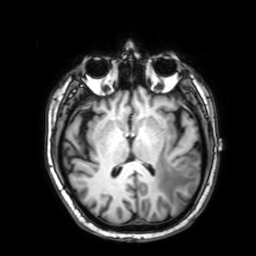
3 Tesla brain MRI. Series: 3D T1-weighted with SENSE. Study: ring-enhancing brain masses.